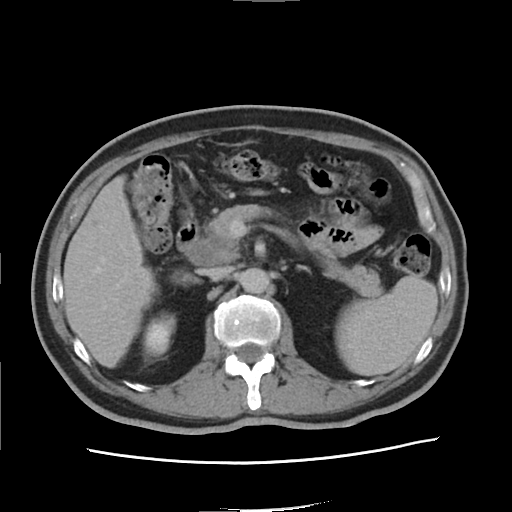
Clinical context: Multiphase abdominal CT, liver, delayed phase. Patient: male, age 65. History: viral hepatitis.